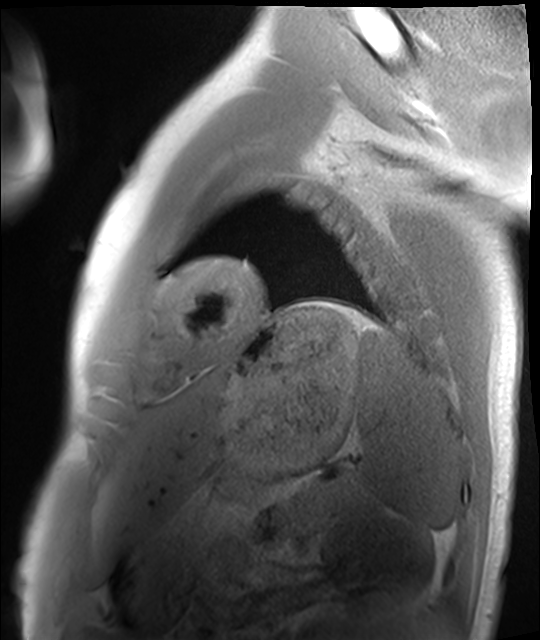
Q: What kind of scan is this?
A: Cardiac MRI.
Subject group: healthy volunteer.